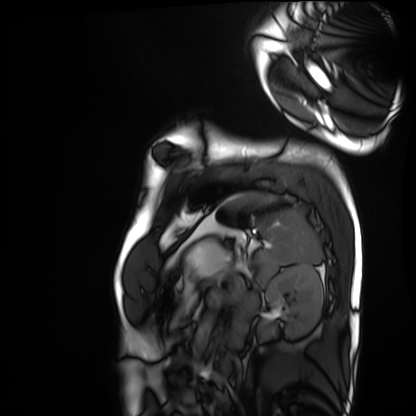
Cardiac MRI. Subject group: healthy volunteer.